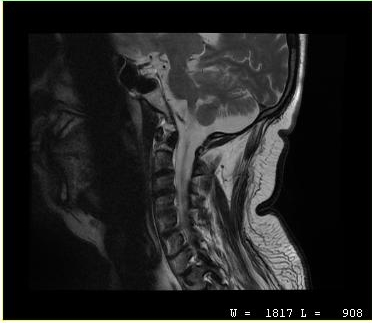
Q: What kind of scan is this?
A: MRI of the cervical spine.
Study: cervical spondylosis.